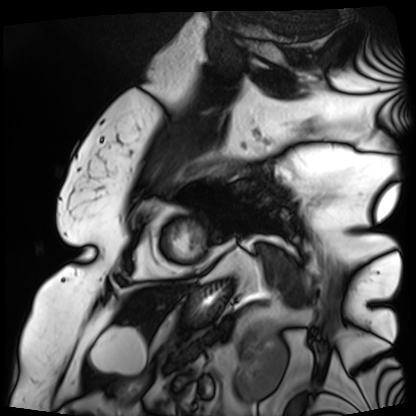
Summary: Cardiac MRI. Subject group: patient.